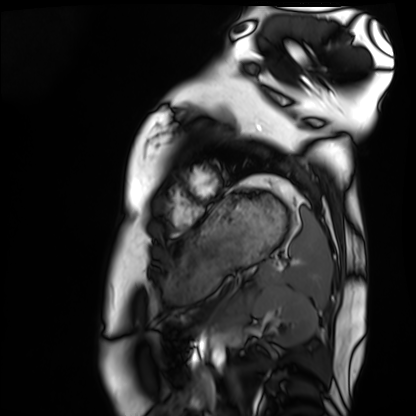
Case summary:
Cardiac MRI. Subject group: healthy volunteer.